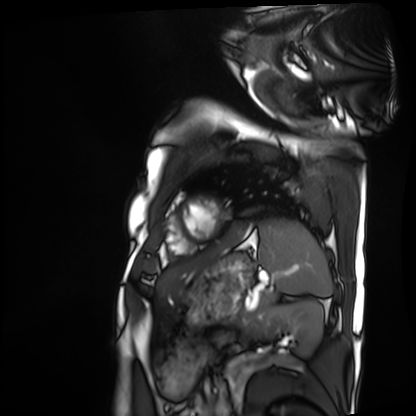
modality — cardiac MRI | subject group — patient.